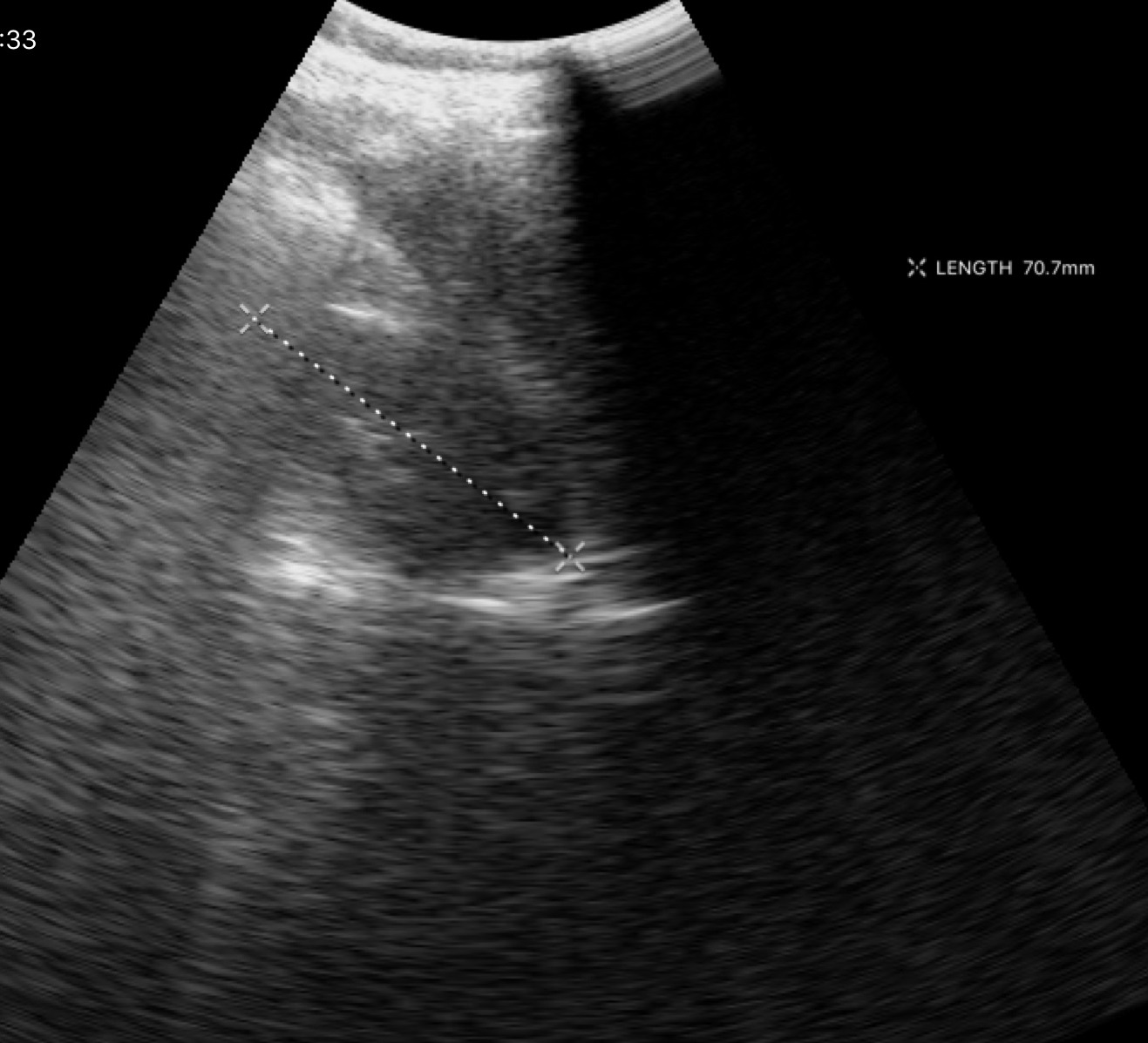
Case:
- modality: genitourinary ultrasound